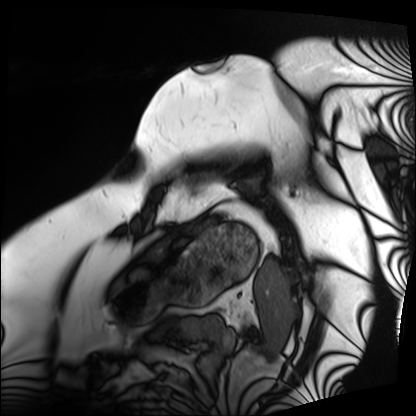
modality = cardiac MRI
subject group = patient